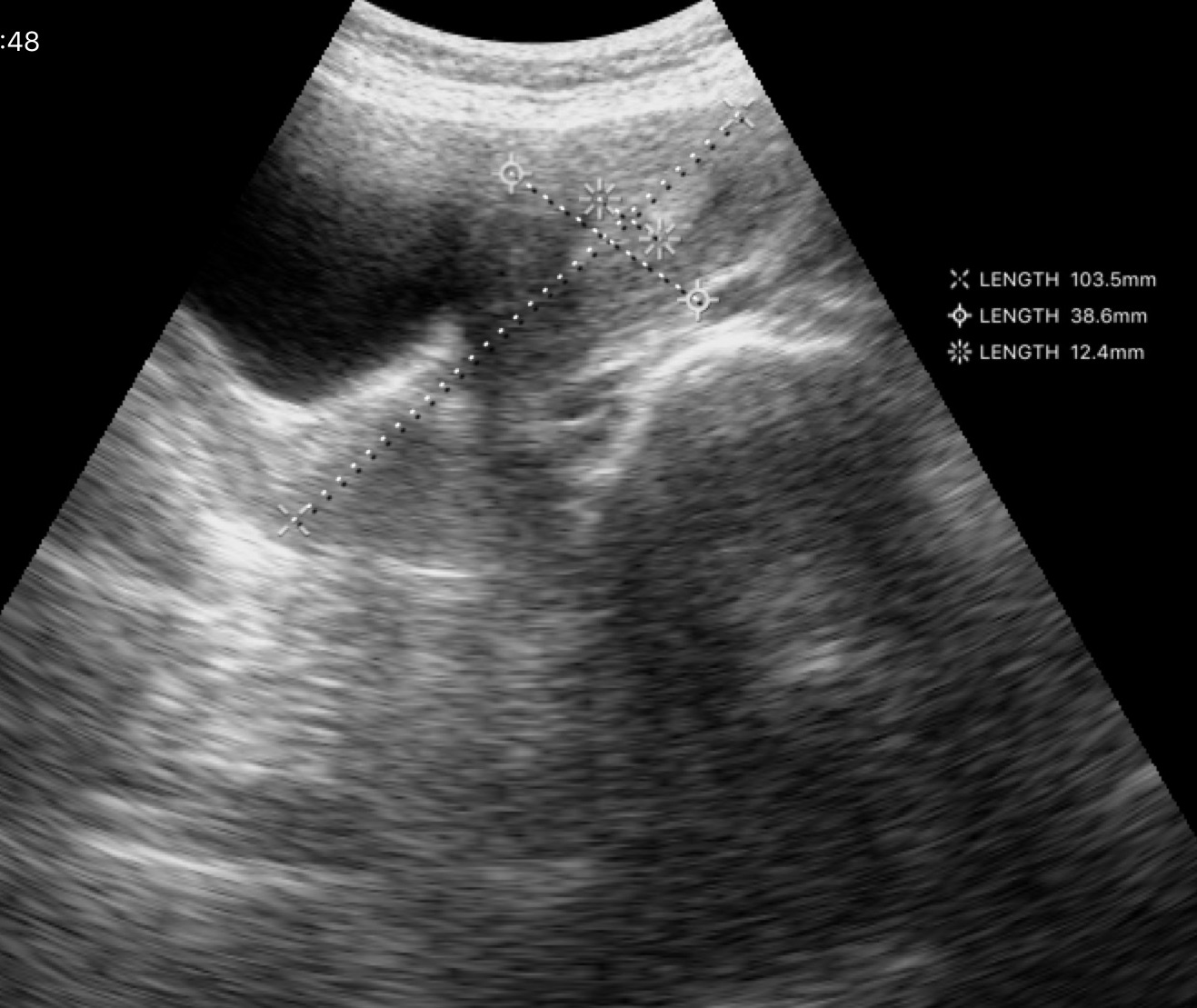
Genitourinary ultrasound.